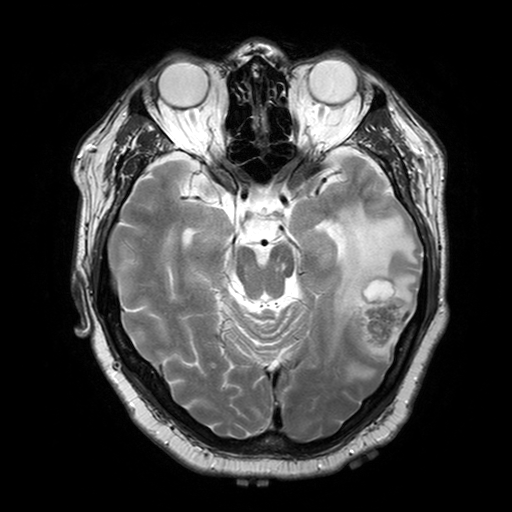
3 Tesla brain MRI.
Series: T2-weighted turbo spin echo with SENSE.
Study: ring-enhancing brain masses.